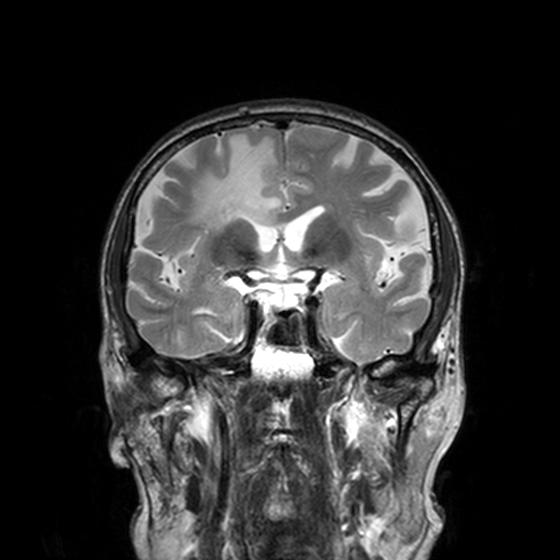
3 Tesla brain MRI.
Series: T2-weighted turbo spin echo, 3 mm.
Study: ring-enhancing brain masses.